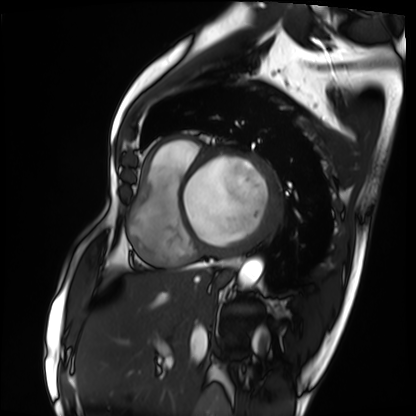
modality — cardiac MRI
subject group — patient